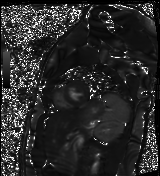
modality = cardiac MR image of the myocardium | subject cohort = healthy volunteer.